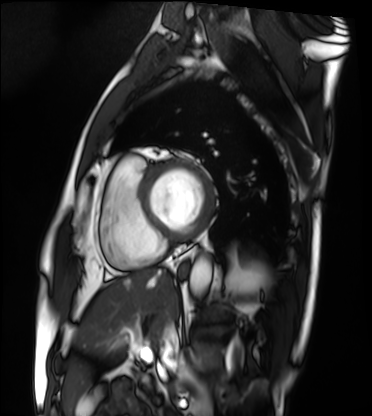
<study>
  <modality>cardiac MRI</modality>
  <cohort>patient</cohort>
</study>